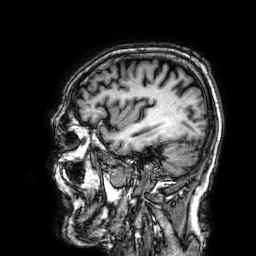
3 Tesla brain MRI. Series: 3D T1-weighted. Study: ring-enhancing brain masses.